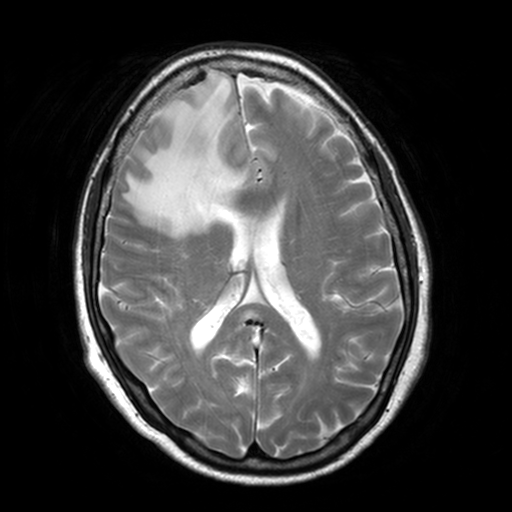
3 Tesla brain MRI. Series: T2-weighted turbo spin echo, 3 mm. Study: ring-enhancing brain masses.